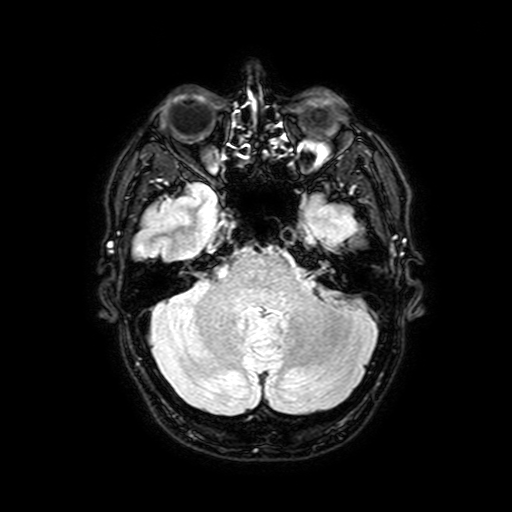
| field | value |
|---|---|
| modality | 3 Tesla brain MRI |
| series | FLAIR with SPAIR, 3 mm |
| study | ring-enhancing brain masses |